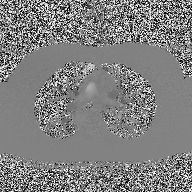
2D phase-contrast cine MRI of the ascending aorta, high-resolution GRAPPA acquisition.